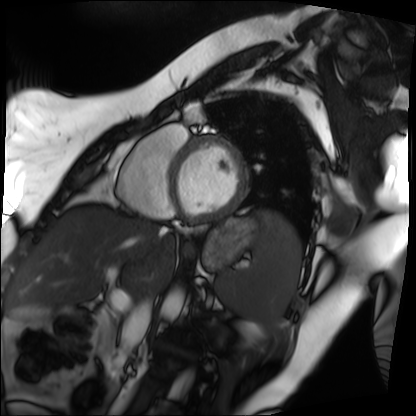
| field | value |
|---|---|
| modality | cardiac MRI |
| subject group | patient |